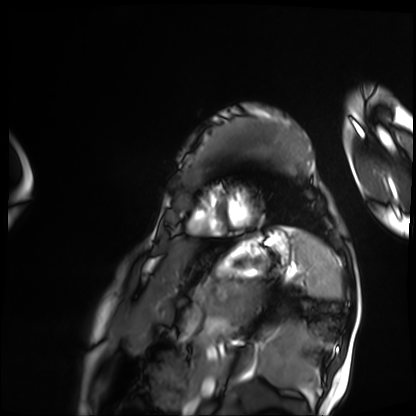
modality=cardiac MRI; subject group=patient.